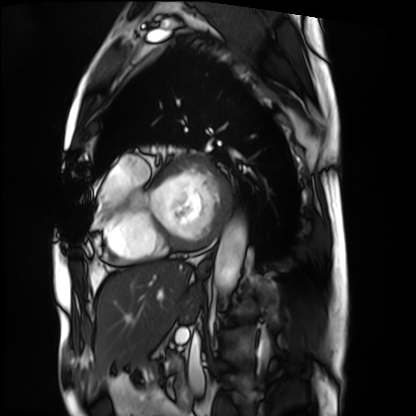
Cardiac MRI. Subject group: patient.